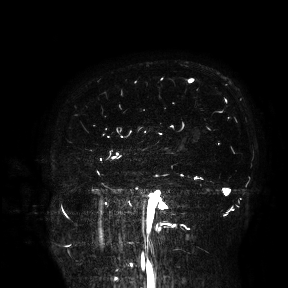
modality: 3 Tesla brain MRI; study: ring-enhancing brain masses.